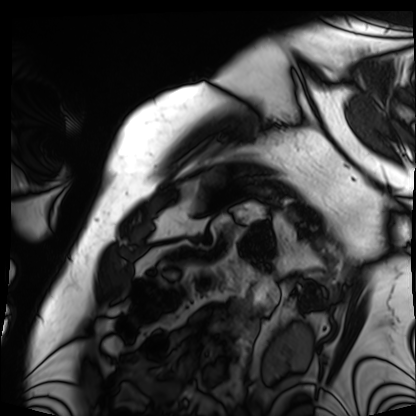
modality = cardiac MRI; subject group = patient.